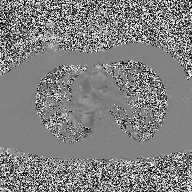
2D phase-contrast cine MRI of the ascending aorta, high-resolution GRAPPA acquisition.